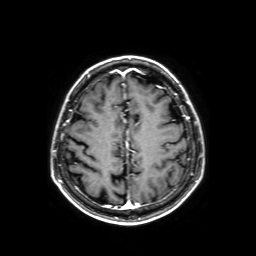
{
  "modality": {
    "type": "brain MRI",
    "field_strength": "3T"
  },
  "series": "axial T1-weighted fusion image",
  "study_topic": "ring-enhancing brain masses"
}